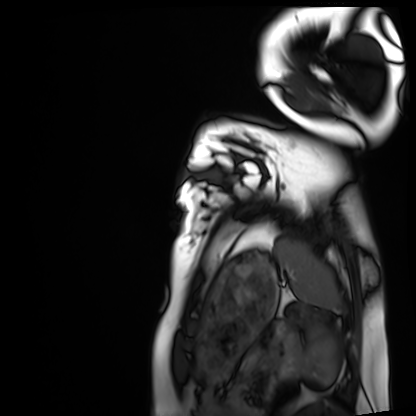
Cardiac MRI. Subject group: healthy volunteer.